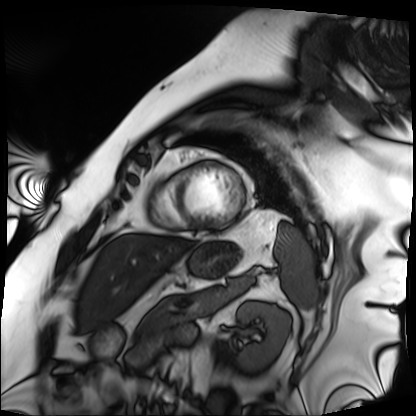
Case summary:
Cardiac MRI. Subject group: patient.